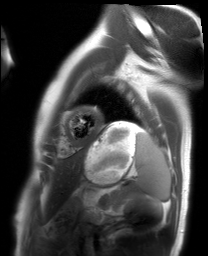
Summary:
Cardiac MRI. Subject group: healthy volunteer.